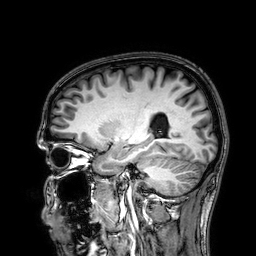
3 Tesla brain MRI.
Series: 3D T1-weighted.
Study: ring-enhancing brain masses.